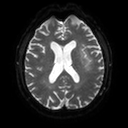
3 Tesla brain MRI.
Series: diffusion tensor imaging (medium iso).
Study: ring-enhancing brain masses.